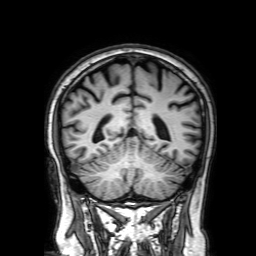
Q: What kind of scan is this?
A: 3 Tesla brain MRI.
Q: Series?
A: 3D T1-weighted with SENSE.
Study: ring-enhancing brain masses.